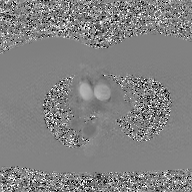
Q: What kind of scan is this?
A: 2D phase-contrast cine MRI of the ascending aorta, GAN super-resolution reconstruction.